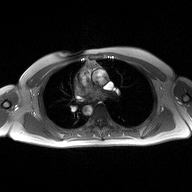
– modality · 2D phase-contrast cine MRI of the ascending aorta